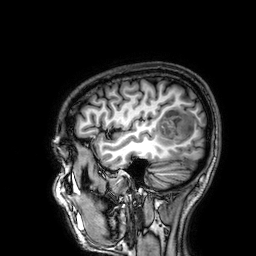
{"modality": {"type": "brain MRI", "field_strength": "3T"}, "series": "3D T1-weighted", "study_topic": "ring-enhancing brain masses"}